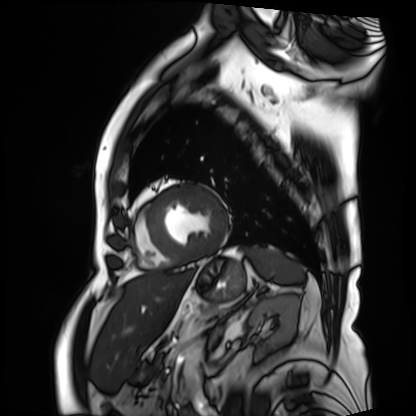
modality=cardiac MRI
subject group=patient